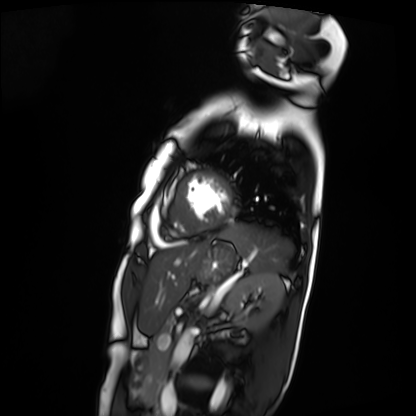
| field | value |
|---|---|
| modality | cardiac MRI |
| subject group | patient |